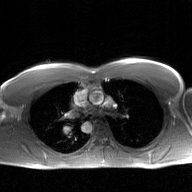
Q: What kind of scan is this?
A: 2D phase-contrast cine MRI of the ascending aorta, GAN super-resolution reconstruction.